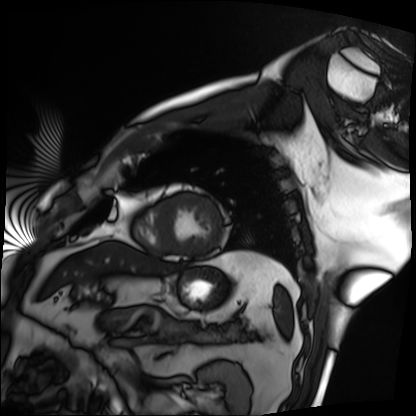
Cardiac MRI. Subject group: patient.